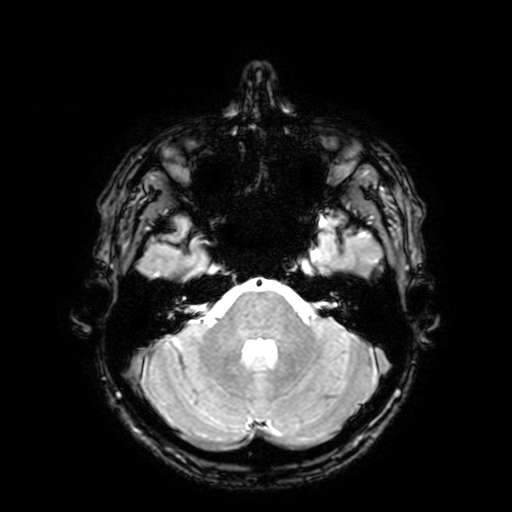
3 Tesla brain MRI. Series: T2-weighted fast field echo with SENSE. Study: ring-enhancing brain masses.